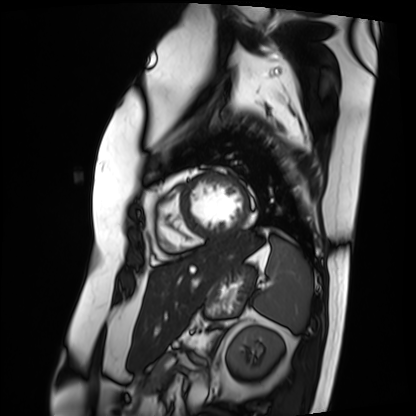
{
  "modality": "cardiac MRI",
  "cohort": "patient"
}